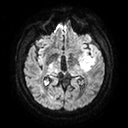
{"modality": {"type": "brain MRI", "field_strength": "3T"}, "series": "diffusion tensor imaging (medium iso)", "study_topic": "ring-enhancing brain masses"}